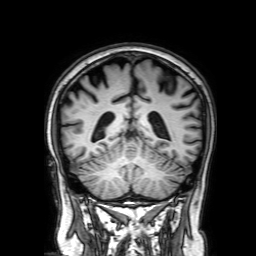
Case summary: 3 Tesla brain MRI. Series: 3D T1-weighted with SENSE. Study: ring-enhancing brain masses.